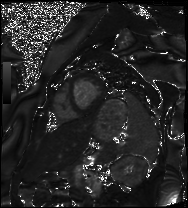
Clinical context:
Cardiac MRI. Subject group: patient.